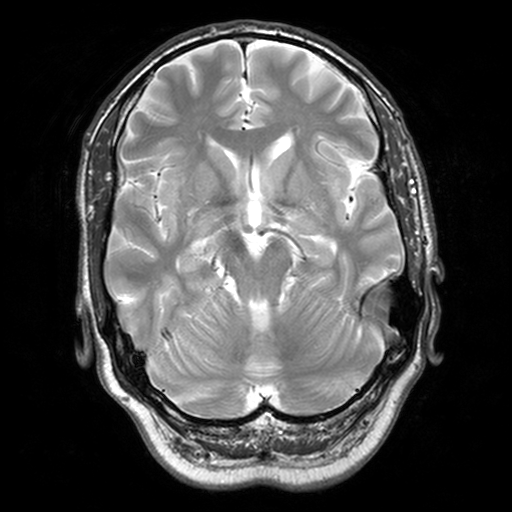
Q: What kind of scan is this?
A: 3 Tesla brain MRI.
Q: Series?
A: T2-weighted turbo spin echo, 3 mm.
Study: ring-enhancing brain masses.